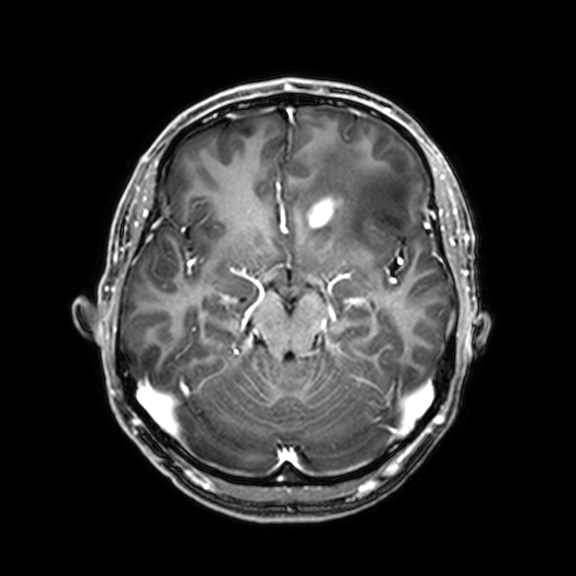
3 Tesla brain MRI.
Study: ring-enhancing brain masses.